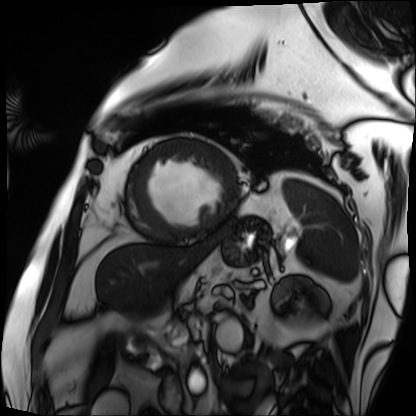
Clinical context:
Cardiac MRI. Subject group: patient.